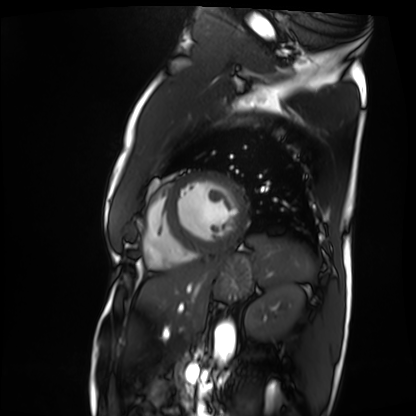
Case summary: Cardiac MRI. Subject group: patient.